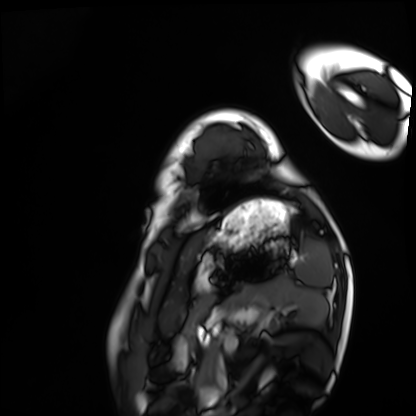
• modality: cardiac MRI
• subject group: healthy volunteer